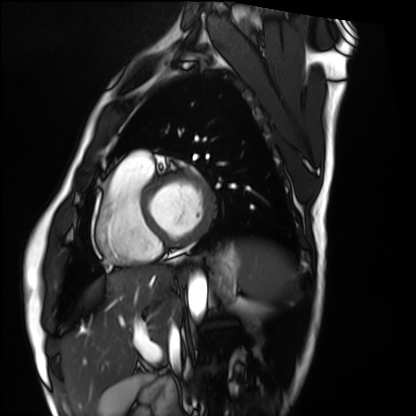
Cardiac MRI. Subject group: healthy volunteer.